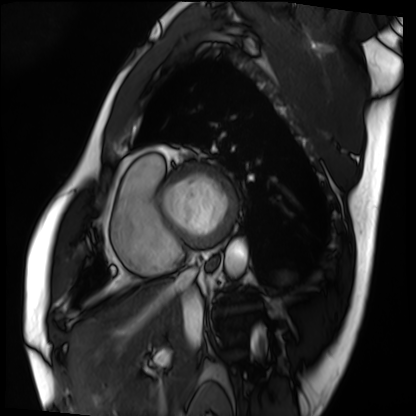
modality: cardiac MRI | subject group: patient.